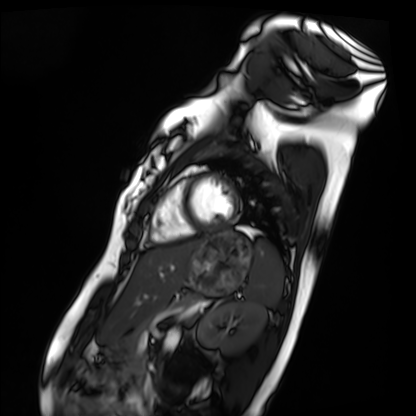
  modality: cardiac MRI
  cohort: healthy volunteer